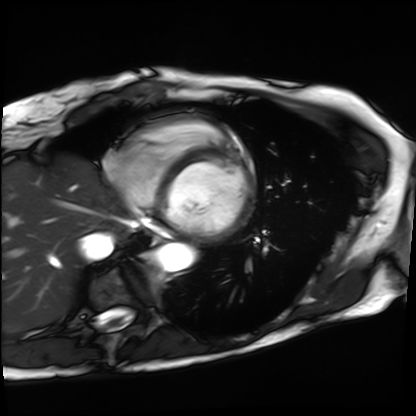
modality: cardiac MRI; subject group: patient.